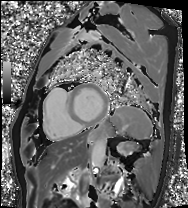
modality: cardiac MRI; subject group: patient.